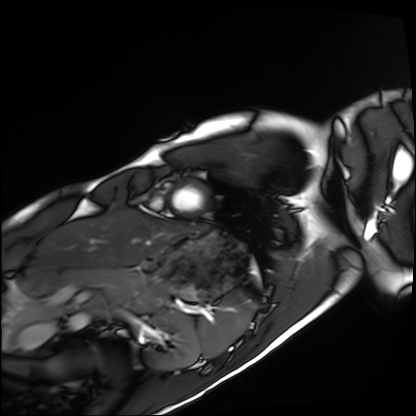
– modality: cardiac MRI
– subject group: healthy volunteer